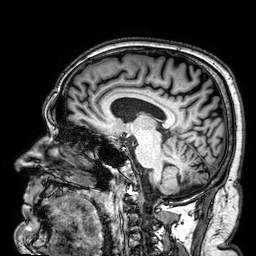
3 Tesla brain MRI.
Series: 3D T1-weighted.
Study: ring-enhancing brain masses.